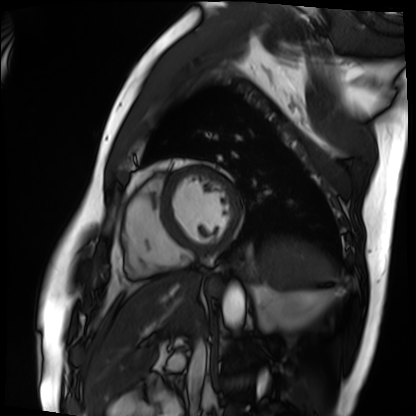
modality: cardiac MRI | subject group: patient.